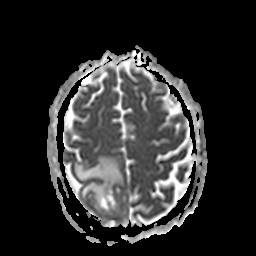
3 Tesla brain MRI. Series: apparent diffusion coefficient (ADC) map. Study: ring-enhancing brain masses.